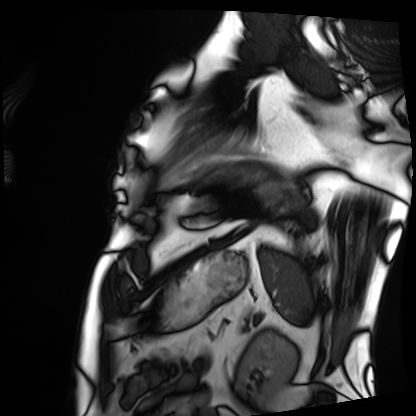
Cardiac MRI. Subject group: patient.